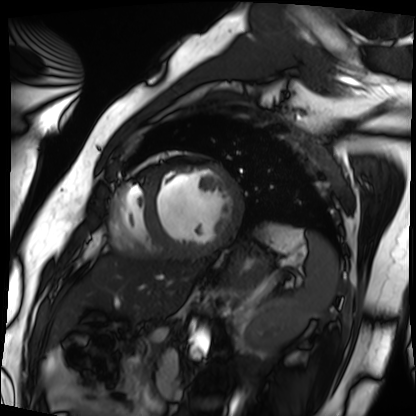
Cardiac MRI. Subject group: patient.